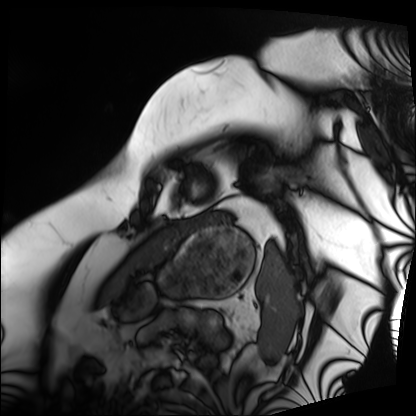
Cardiac MRI.
Subject group: patient.